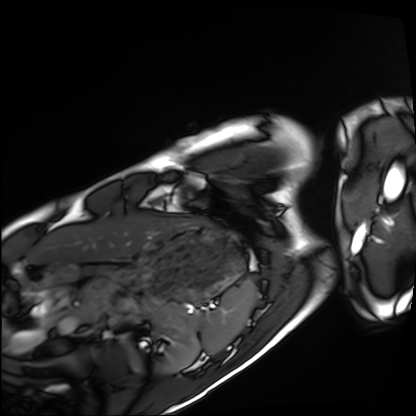
Q: What kind of scan is this?
A: Cardiac MRI.
Subject group: healthy volunteer.